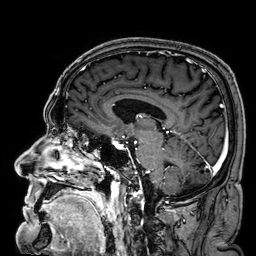
Case summary:
3 Tesla brain MRI. Series: 3D T1-weighted. Study: ring-enhancing brain masses.